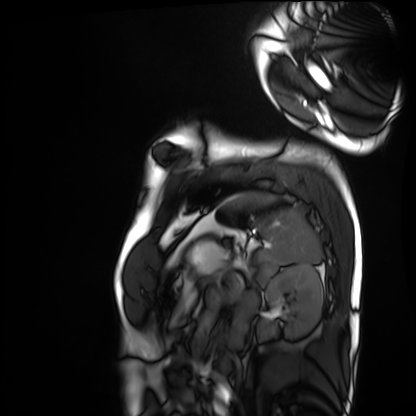
modality: cardiac MRI
subject group: healthy volunteer